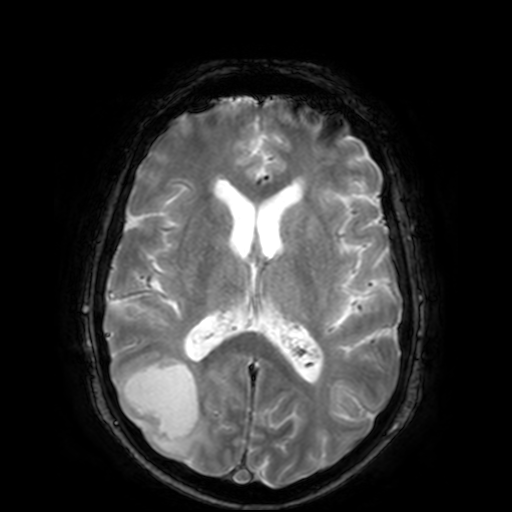
3 Tesla brain MRI.
Series: T2-weighted fast field echo.
Study: ring-enhancing brain masses.